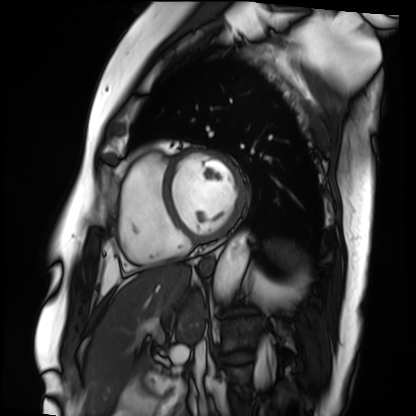
Cardiac MRI. Subject group: patient.